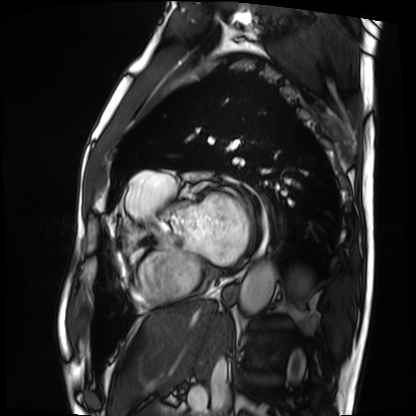
Cardiac MRI. Subject group: patient.